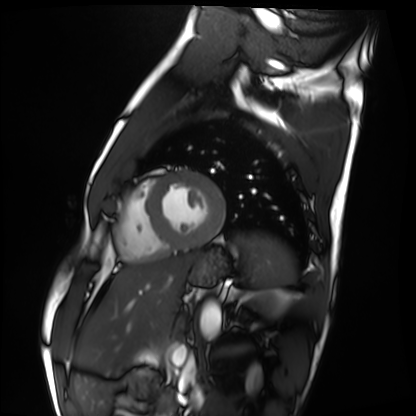
modality: cardiac MRI; subject group: healthy volunteer.